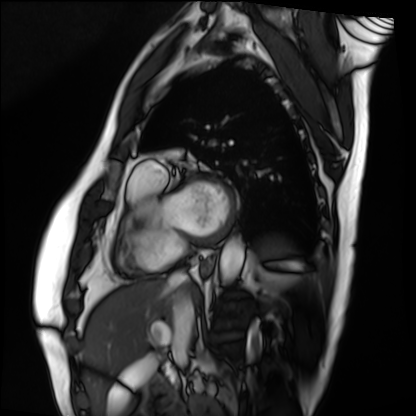
– modality — cardiac MRI
– subject group — patient